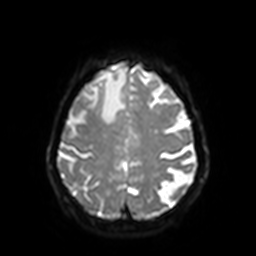
3 Tesla brain MRI. Series: diffusion-weighted imaging with SENSE (WIP). Study: ring-enhancing brain masses.